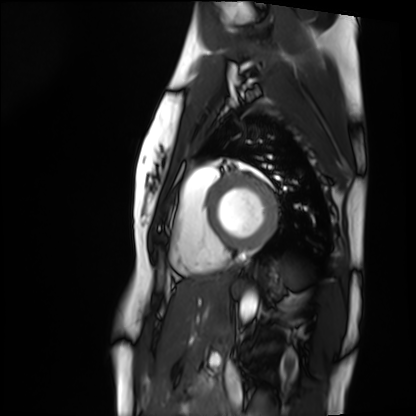
Q: What kind of scan is this?
A: Cardiac MRI.
Subject group: healthy volunteer.